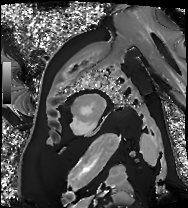
Cardiac MRI.
Subject group: patient.